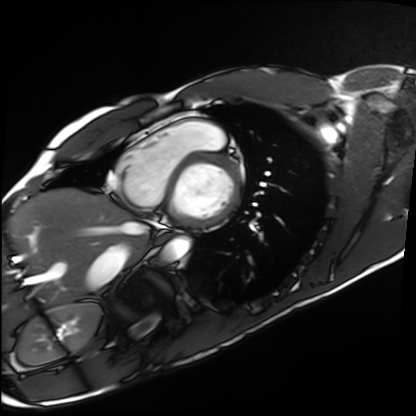
Clinical context: Cardiac MRI. Subject group: healthy volunteer.